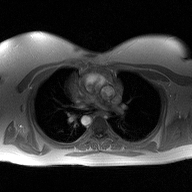
* modality — 2D phase-contrast cine MRI of the ascending aorta